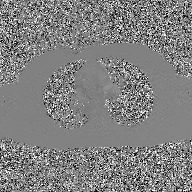
Q: What kind of scan is this?
A: 2D phase-contrast cine MRI of the ascending aorta, GAN super-resolution reconstruction.